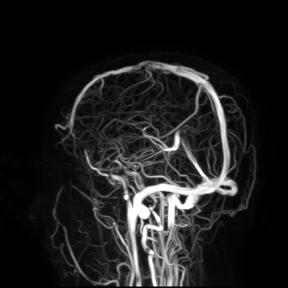
Clinical context:
3 Tesla brain MRI. Study: ring-enhancing brain masses.